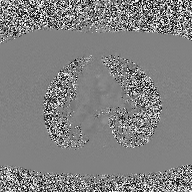
Summary:
2D phase-contrast cine MRI of the ascending aorta, high-resolution GRAPPA acquisition.